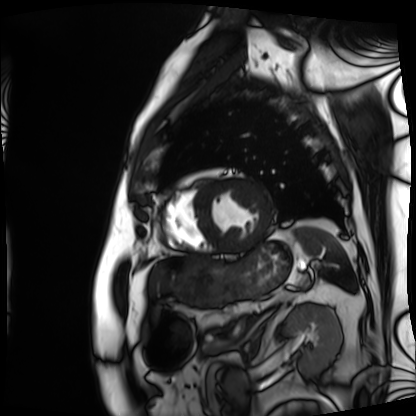
<record>
<modality>cardiac MRI</modality>
<cohort>patient</cohort>
</record>